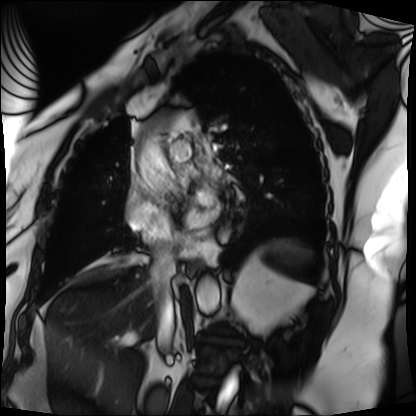
Summary:
Cardiac MRI. Subject group: patient.